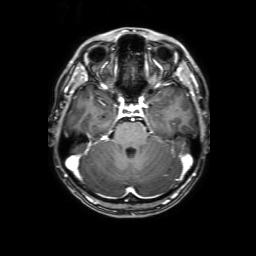
3 Tesla brain MRI.
Series: 3D T1-weighted with SENSE.
Study: ring-enhancing brain masses.